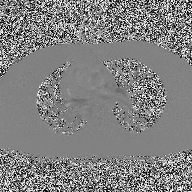
modality: 2D phase-contrast cine MRI of the ascending aorta